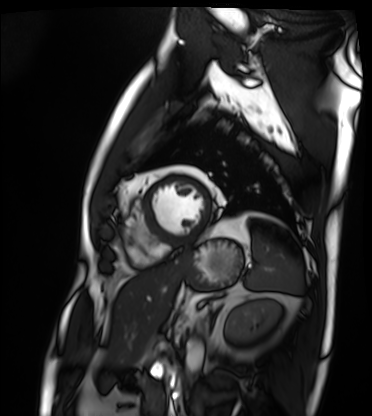
{"modality": "cardiac MRI", "cohort": "patient"}